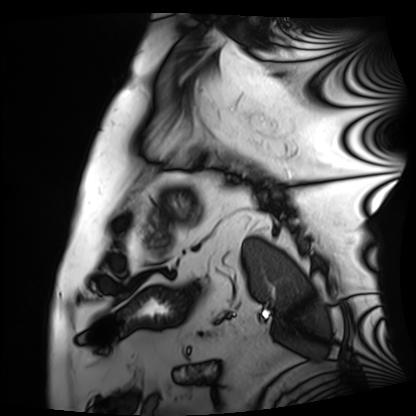
Summary: Cardiac MRI. Subject group: patient.